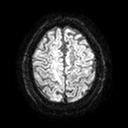
modality: 3 Tesla brain MRI; series: diffusion tensor imaging (medium iso); study: ring-enhancing brain masses.